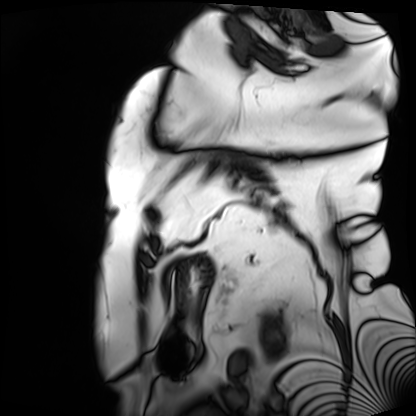
Clinical context: Cardiac MRI. Subject group: patient.